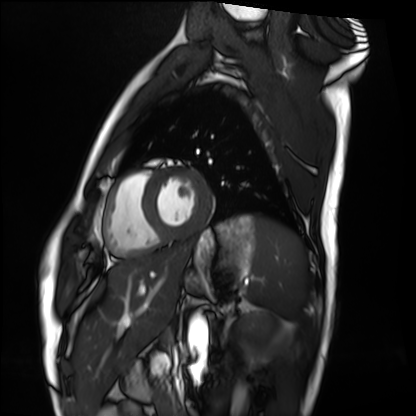
modality — cardiac MRI | subject group — healthy volunteer.